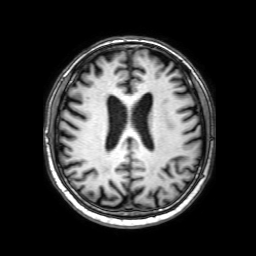
3 Tesla brain MRI. Series: 3D T1-weighted with SENSE. Study: ring-enhancing brain masses.